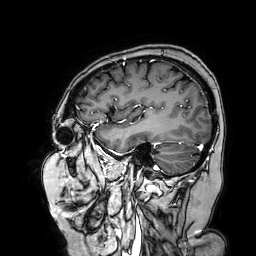
Summary:
3 Tesla brain MRI. Series: 3D T1-weighted turbo field echo with SENSE. Study: ring-enhancing brain masses.